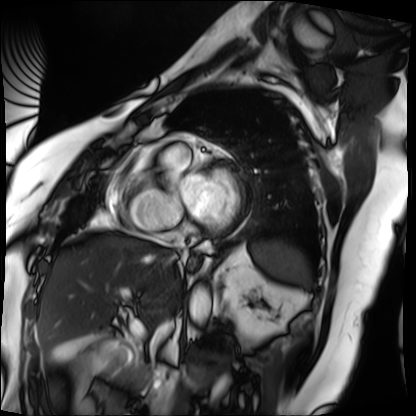
Q: What kind of scan is this?
A: Cardiac MRI.
Subject group: patient.